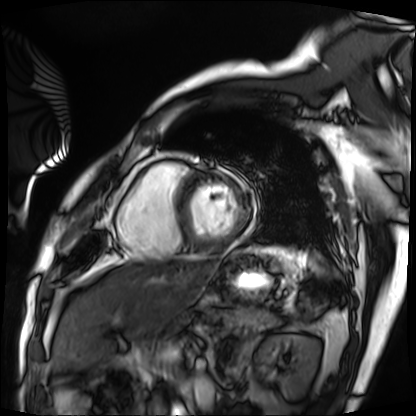
Cardiac MRI.
Subject group: patient.